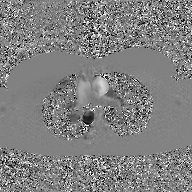
| field | value |
|---|---|
| modality | 2D phase-contrast cine MRI of the ascending aorta, GAN super-resolution reconstruction |